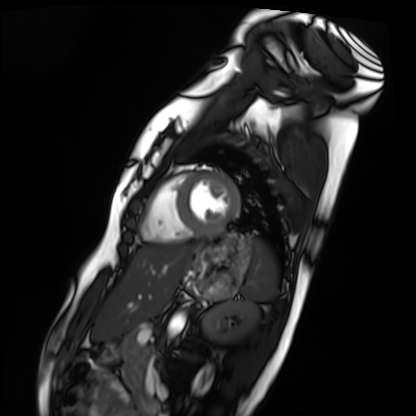
Cardiac MRI.
Subject group: healthy volunteer.